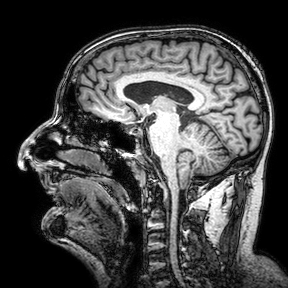
Clinical context: 3 Tesla brain MRI. Series: 3D T1-weighted turbo field echo with SENSE. Study: ring-enhancing brain masses.